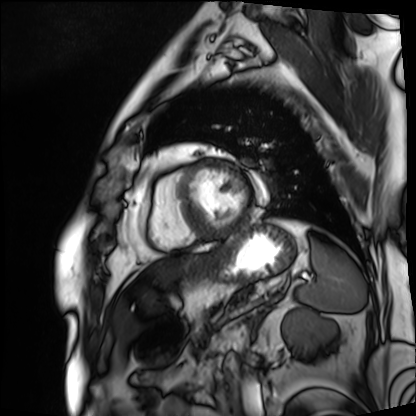
Summary: Cardiac MRI. Subject group: patient.